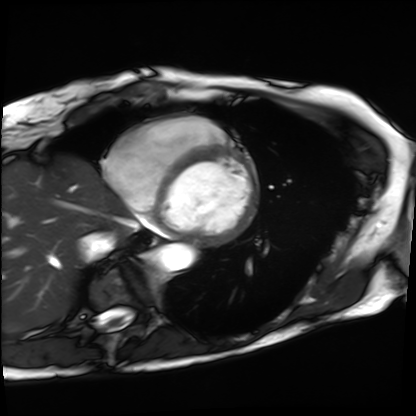
<scan>
  <modality>cardiac MRI</modality>
  <cohort>patient</cohort>
</scan>